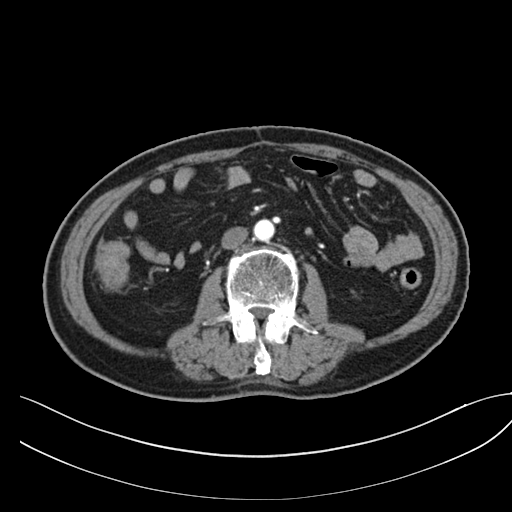
Multiphase abdominal CT, liver, arterial phase. Patient: male, age 71.